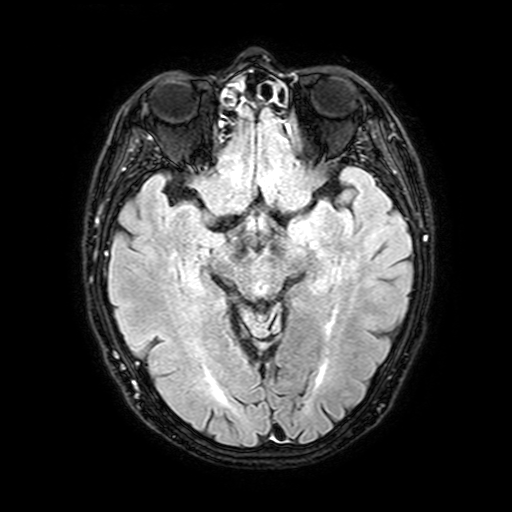
Q: What kind of scan is this?
A: 3 Tesla brain MRI.
Q: Series?
A: FLAIR with SPAIR, 3 mm.
Study: ring-enhancing brain masses.